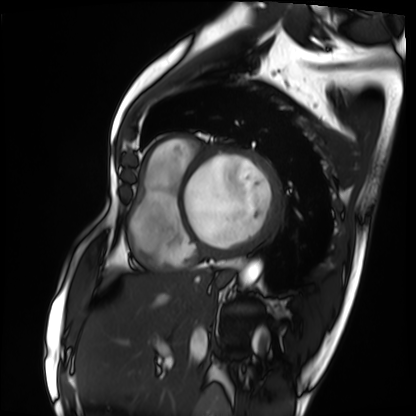
– modality — cardiac MRI
– subject group — patient